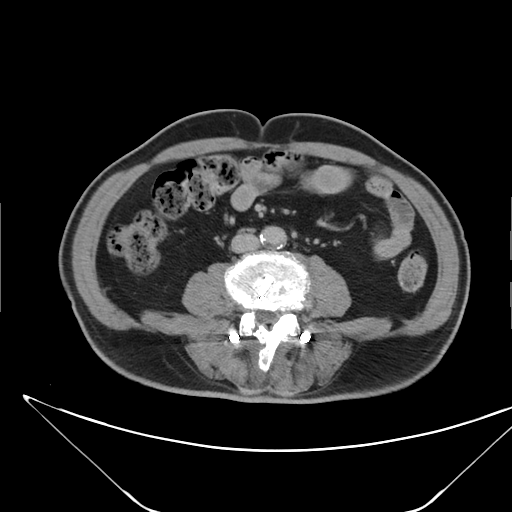
Multiphase abdominal CT, liver, delayed phase.